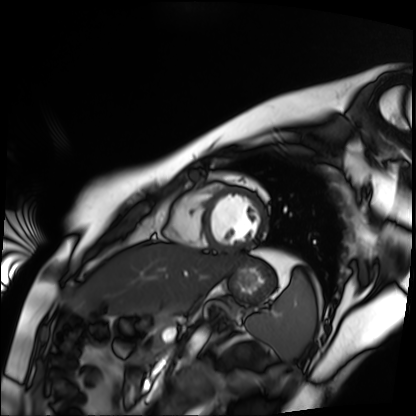
modality=cardiac MR image of the myocardium
subject cohort=healthy volunteer